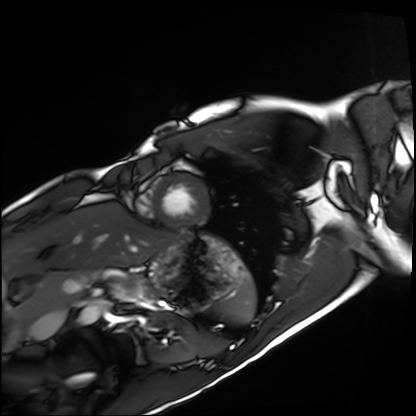
Summary:
Cardiac MRI. Subject group: healthy volunteer.